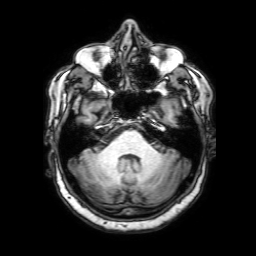
modality = 3 Tesla brain MRI
series = 3D T1-weighted with SENSE
study = ring-enhancing brain masses